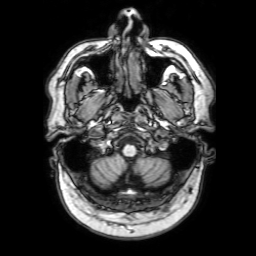
<study>
<modality>
  <type>brain MRI</type>
  <field_strength>3T</field_strength>
</modality>
<series>3D T1-weighted with SENSE</series>
<study_topic>ring-enhancing brain masses</study_topic>
</study>